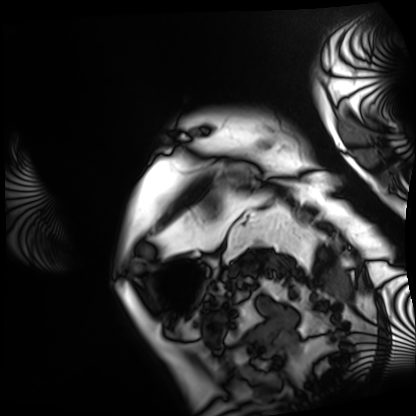
<case>
  <modality>cardiac MRI</modality>
  <cohort>patient</cohort>
</case>